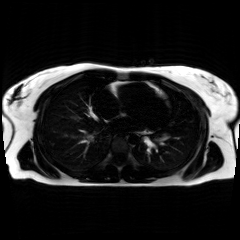
Clinical context:
Chemical-shift-encoded cardiac MRI.